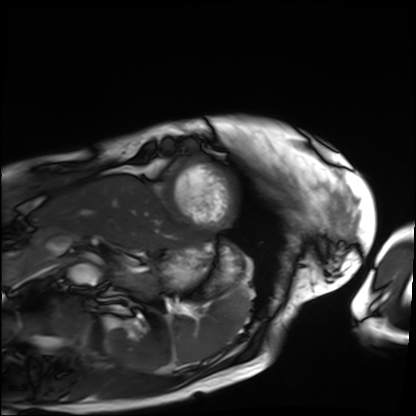
{"modality": "cardiac MRI", "cohort": "patient"}